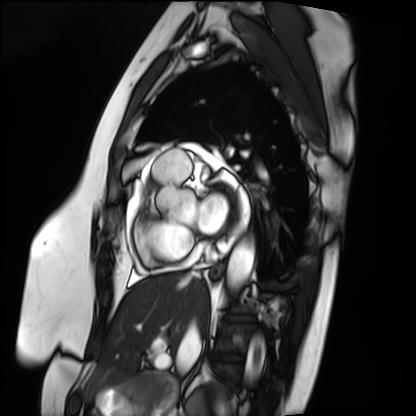
Cardiac MRI. Subject group: patient.